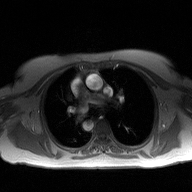
- modality · 2D phase-contrast cine MRI of the ascending aorta